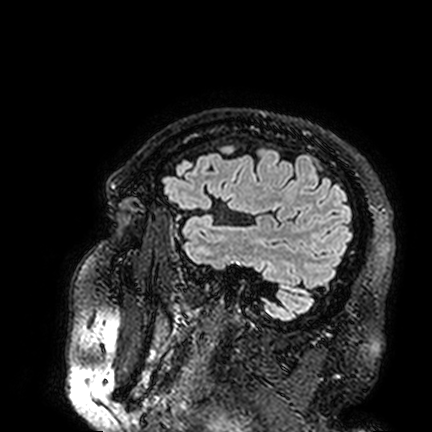
Summary:
3 Tesla brain MRI. Series: FLAIR VISTA. Study: ring-enhancing brain masses.